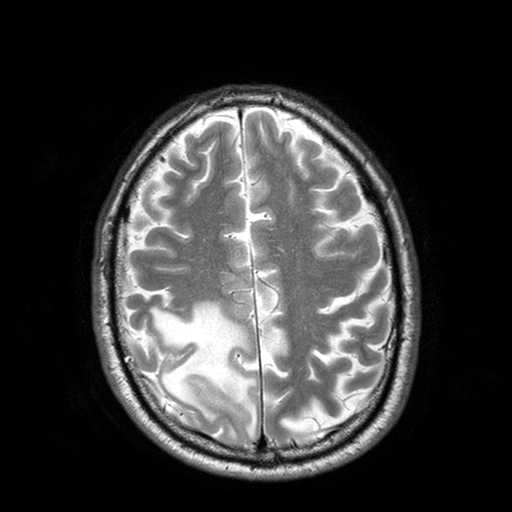
3 Tesla brain MRI.
Study: ring-enhancing brain masses.